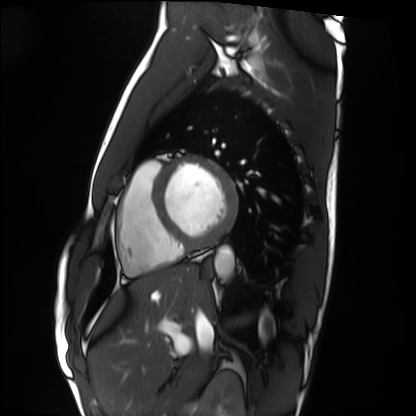
Case summary:
Cardiac MRI. Subject group: healthy volunteer.